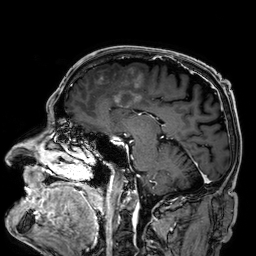
Summary: 3 Tesla brain MRI. Series: 3D T1-weighted. Study: ring-enhancing brain masses.